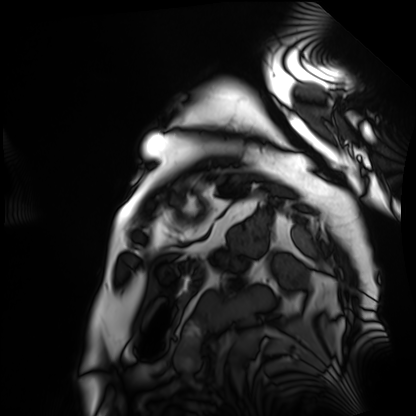
Q: What kind of scan is this?
A: Cardiac MRI.
Subject group: patient.